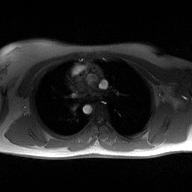
2D phase-contrast cine MRI of the ascending aorta, high-resolution GRAPPA acquisition.